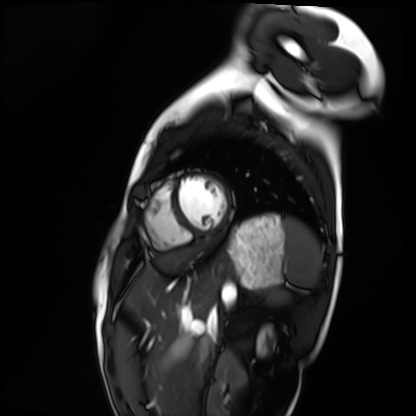
Q: What kind of scan is this?
A: Cardiac MRI.
Subject group: healthy volunteer.